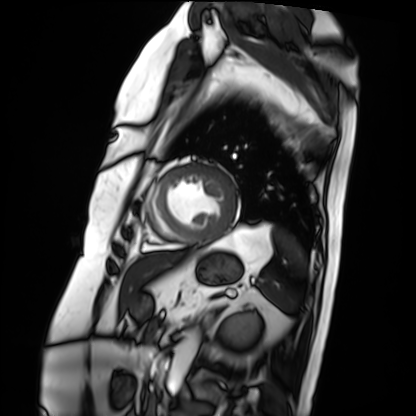
Case:
* modality: cardiac MRI
* subject group: patient